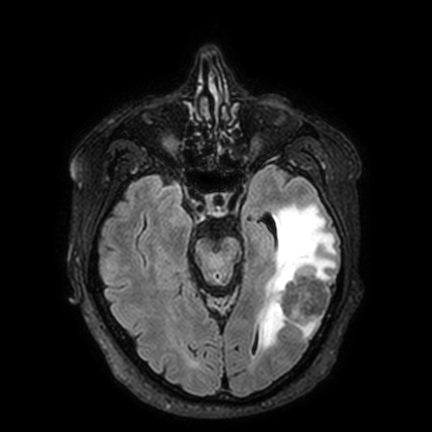
modality: 3 Tesla brain MRI | series: FLAIR VISTA with SENSE | study: ring-enhancing brain masses.